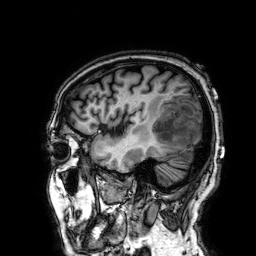
• modality · 3 Tesla brain MRI
• series · 3D T1-weighted
• study · ring-enhancing brain masses